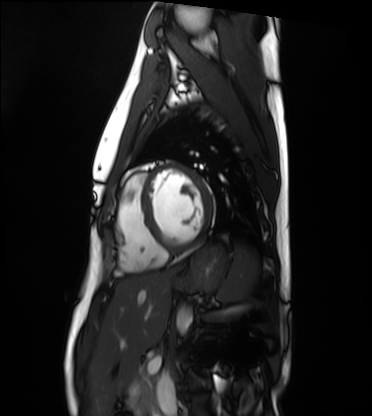
Cardiac MRI.
Subject group: healthy volunteer.